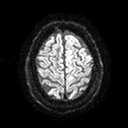
modality: 3 Tesla brain MRI; series: diffusion tensor imaging (medium iso); study: ring-enhancing brain masses.